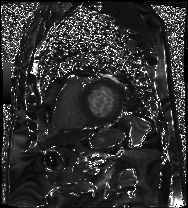
{
  "modality": "cardiac MRI",
  "cohort": "patient"
}